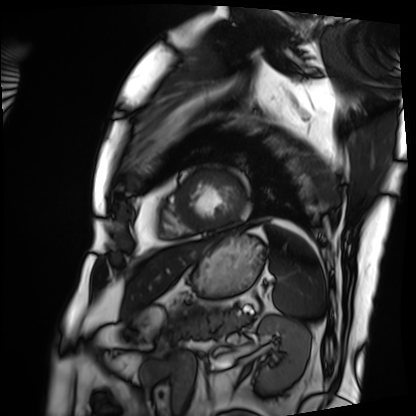
Cardiac MRI.
Subject group: patient.